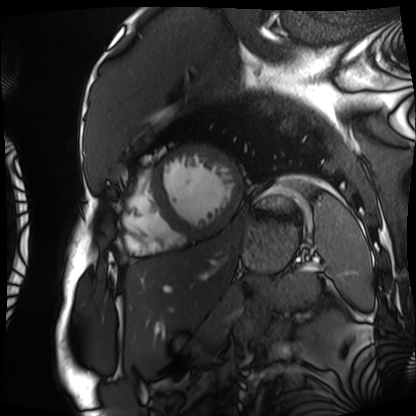
modality: cardiac MRI | subject group: patient.